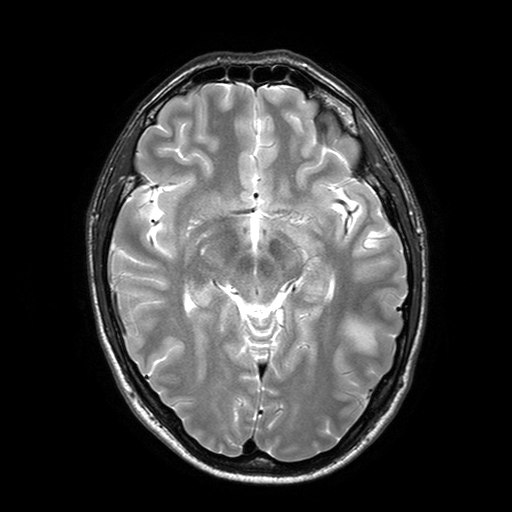
<study>
  <modality>
    <type>brain MRI</type>
    <field_strength>3T</field_strength>
  </modality>
  <series>T2-weighted turbo spin echo with SENSE</series>
  <study_topic>ring-enhancing brain masses</study_topic>
</study>